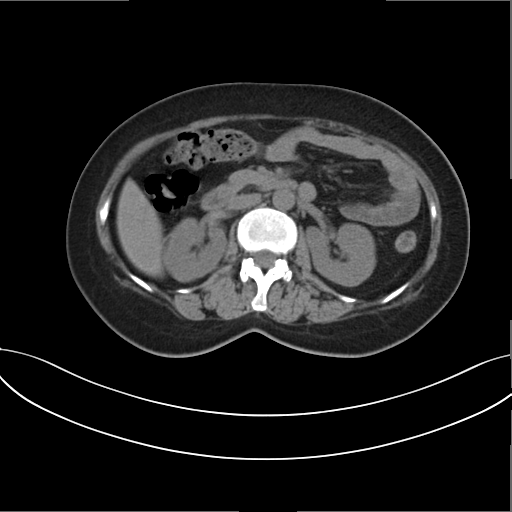
modality: multiphase abdominal CT, liver, non-contrast phase | patient: female, age 41 | history: prior chemotherapy.